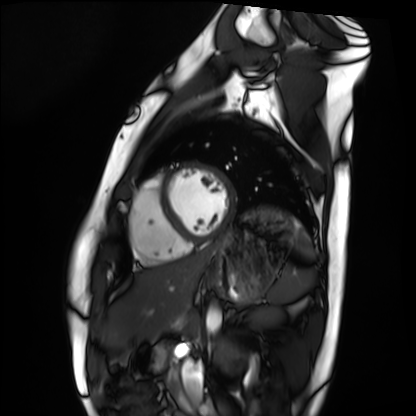
Clinical context: Cardiac MRI. Subject group: healthy volunteer.